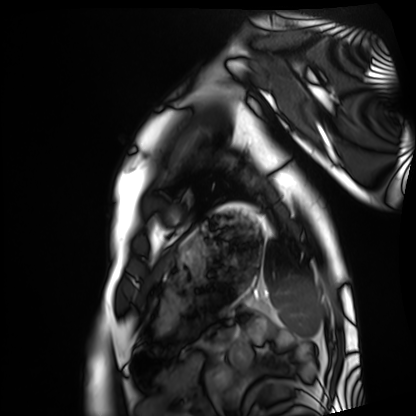
Cardiac MRI.
Subject group: healthy volunteer.